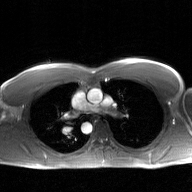
modality = 2D phase-contrast cine MRI of the ascending aorta, GAN super-resolution reconstruction.